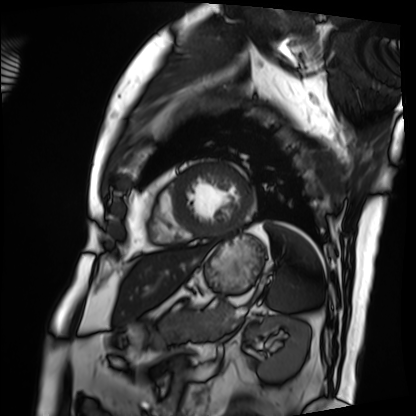
Summary: Cardiac MRI. Subject group: patient.